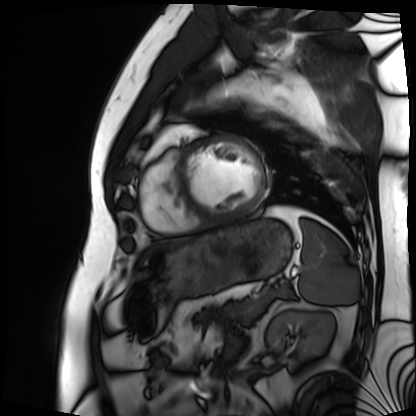
Summary: Cardiac MRI. Subject group: patient.